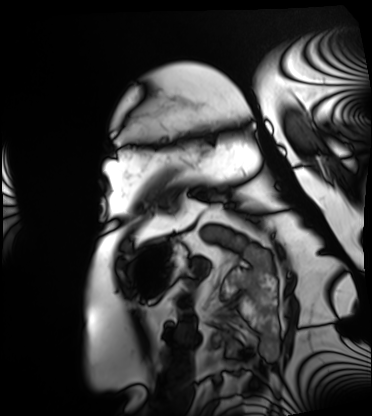
Cardiac MRI. Subject group: patient.